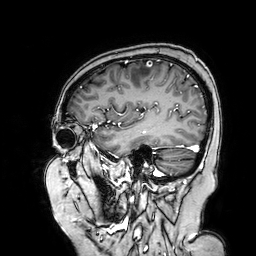
3 Tesla brain MRI.
Series: 3D T1-weighted turbo field echo with SENSE.
Study: ring-enhancing brain masses.